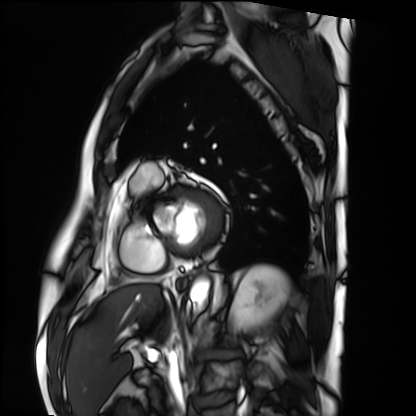
Q: What kind of scan is this?
A: Cardiac MRI.
Subject group: patient.